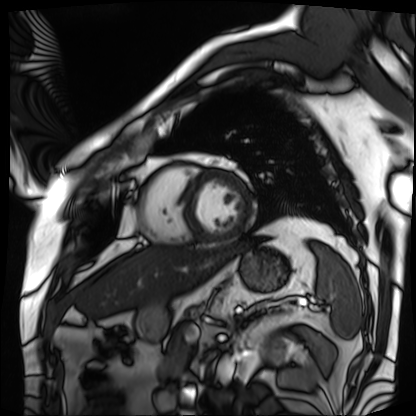
Cardiac MRI. Subject group: patient.